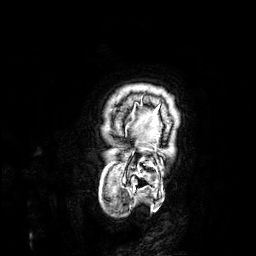
modality: 3 Tesla brain MRI | series: 3D T1-weighted | study: ring-enhancing brain masses.